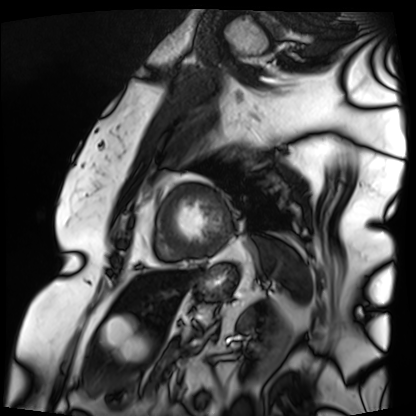
Q: What kind of scan is this?
A: Cardiac MRI.
Subject group: patient.